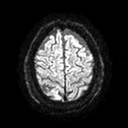
Summary: 3 Tesla brain MRI. Series: diffusion tensor imaging (medium iso). Study: ring-enhancing brain masses.